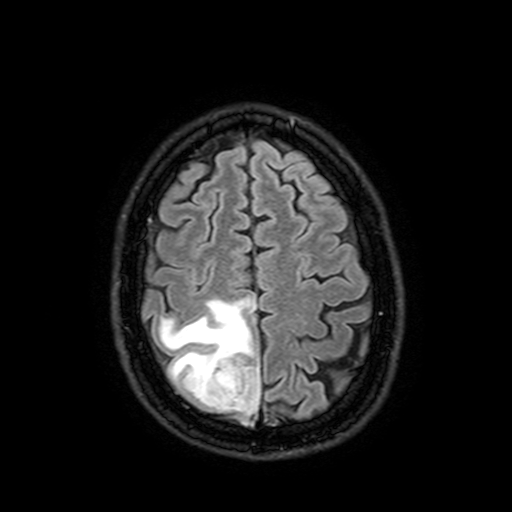
modality:
  type: brain MRI
  field_strength: 3T
series: FLAIR with SPAIR, 3 mm
study_topic: ring-enhancing brain masses